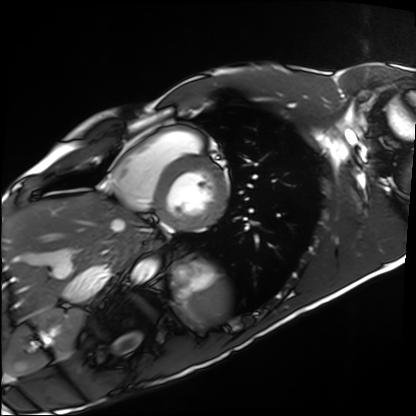
<record>
  <modality>cardiac MRI</modality>
  <cohort>healthy volunteer</cohort>
</record>